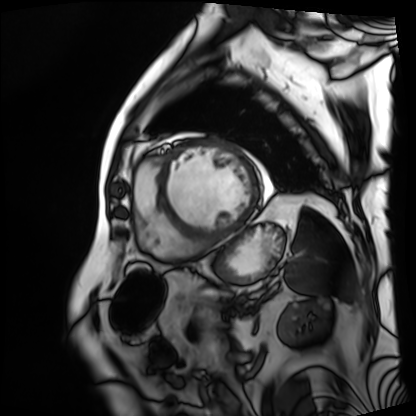
Cardiac MRI.
Subject group: patient.